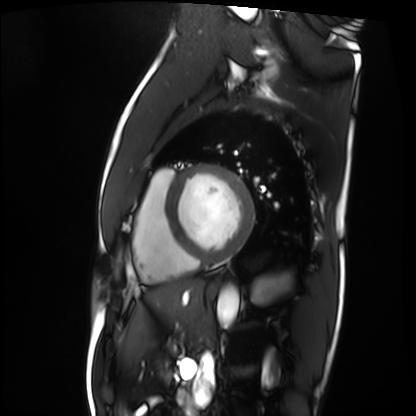
Cardiac MRI.
Subject group: patient.